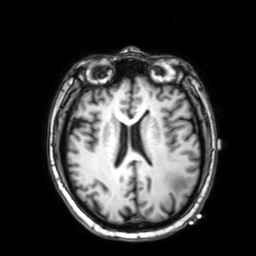
3 Tesla brain MRI. Series: 3D T1-weighted with SENSE. Study: ring-enhancing brain masses.